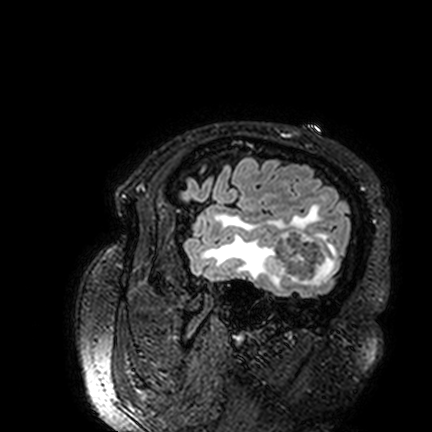
3 Tesla brain MRI. Series: FLAIR VISTA. Study: ring-enhancing brain masses.